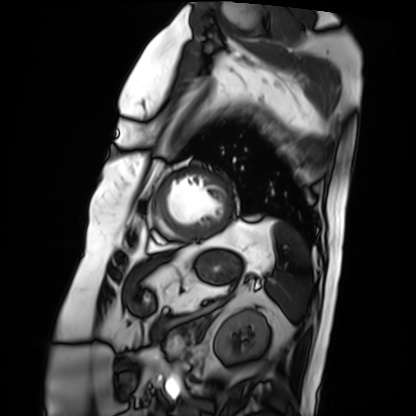
Cardiac MRI.
Subject group: patient.